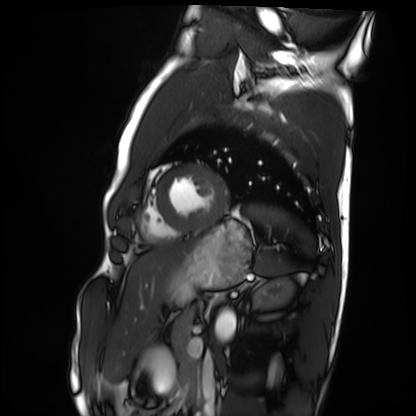
  modality: cardiac MRI
  cohort: healthy volunteer